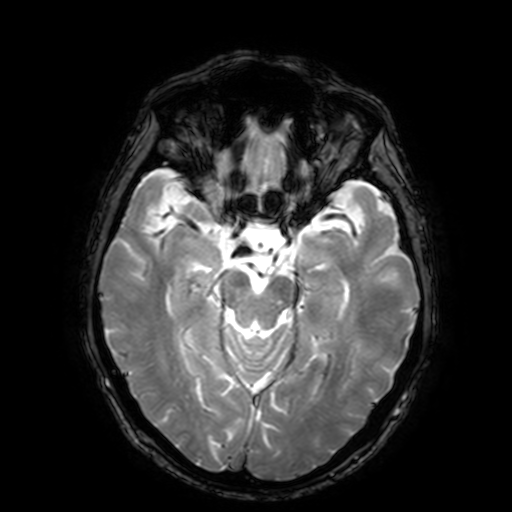
3 Tesla brain MRI.
Series: T2-weighted fast field echo with SENSE.
Study: ring-enhancing brain masses.